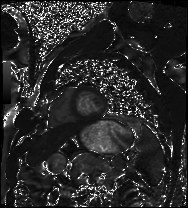
Clinical context:
Cardiac MRI. Subject group: patient.